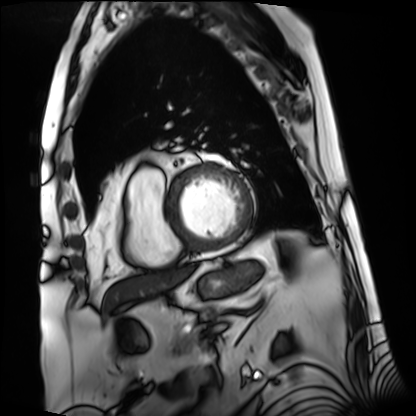
modality=cardiac MRI
subject group=patient